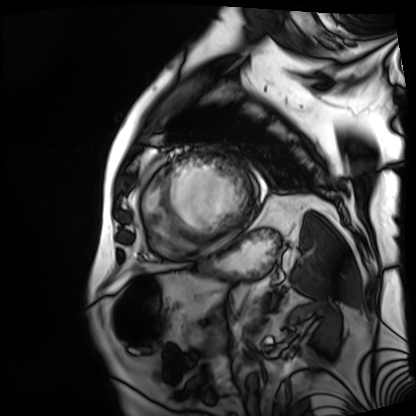
Cardiac MRI. Subject group: patient.